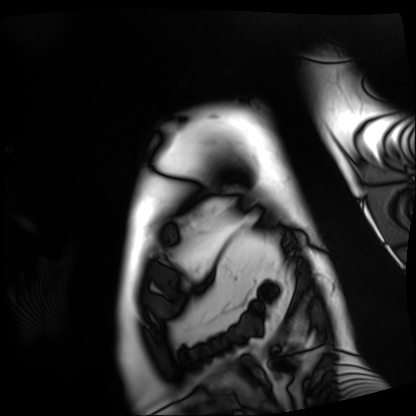
Cardiac MRI. Subject group: patient.